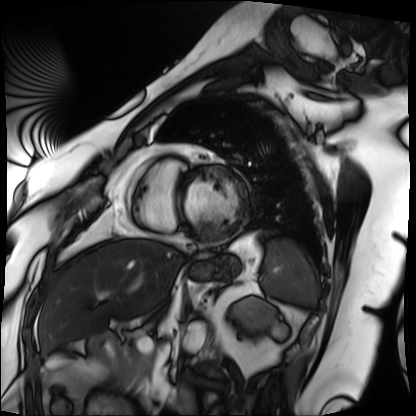
Summary: Cardiac MRI. Subject group: patient.